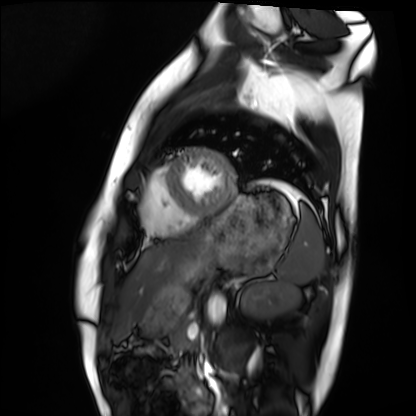
Case:
- modality: cardiac MRI
- subject group: healthy volunteer